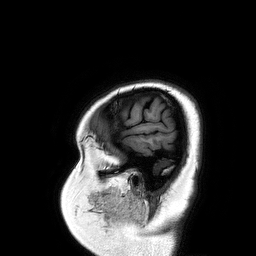
modality = 3 Tesla brain MRI | study = ring-enhancing brain masses.